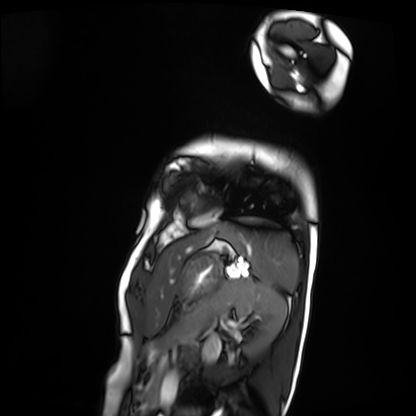
Cardiac MRI. Subject group: patient.